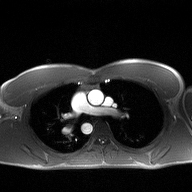
modality — 2D phase-contrast cine MRI of the ascending aorta